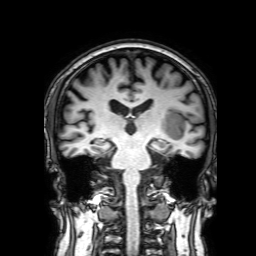
3 Tesla brain MRI. Series: 3D T1-weighted with SENSE. Study: ring-enhancing brain masses.